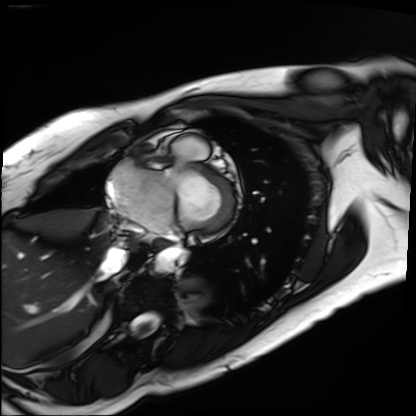
modality: cardiac MRI
cohort: patient